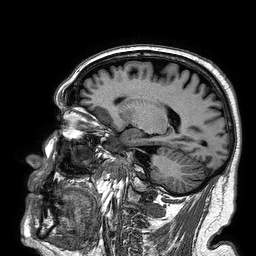
modality:
  type: brain MRI
  field_strength: 3T
study_topic: ring-enhancing brain masses